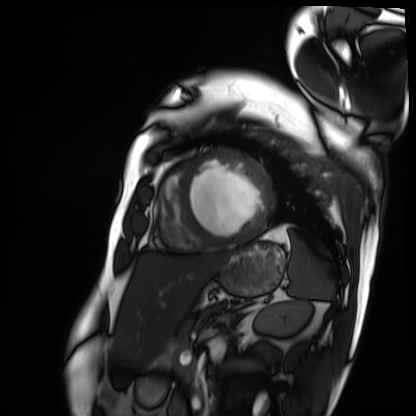
Cardiac MRI.
Subject group: patient.